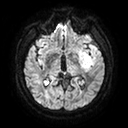
modality = 3 Tesla brain MRI
series = diffusion tensor imaging (medium iso)
study = ring-enhancing brain masses